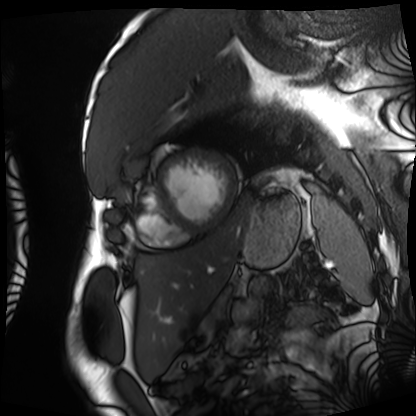
Cardiac MRI.
Subject group: patient.